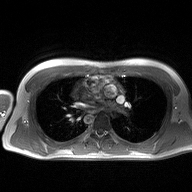
2D phase-contrast cine MRI of the ascending aorta, high-resolution GRAPPA acquisition.